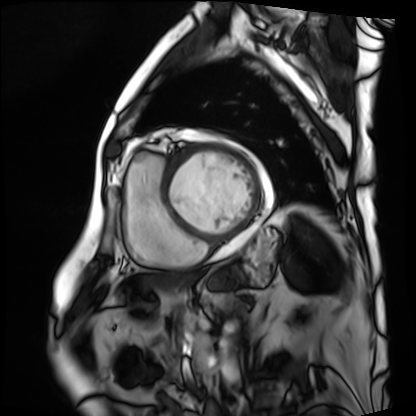
Cardiac MRI. Subject group: patient.